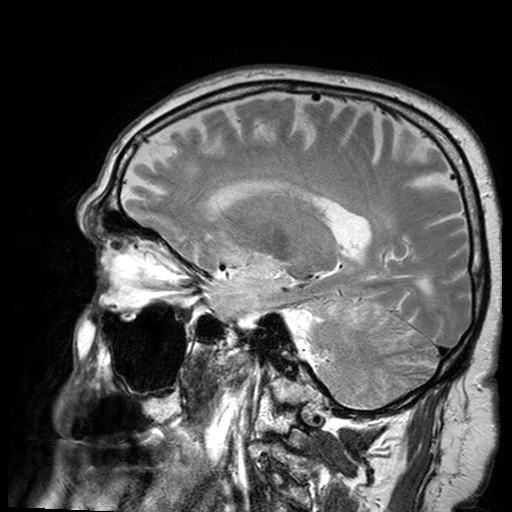
modality = 3 Tesla brain MRI; series = T2-weighted turbo spin echo with SENSE; study = ring-enhancing brain masses.